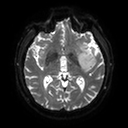
modality — 3 Tesla brain MRI | series — diffusion tensor imaging (medium iso) | study — ring-enhancing brain masses.